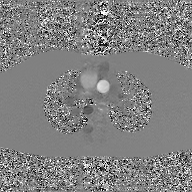
Q: What kind of scan is this?
A: 2D phase-contrast cine MRI of the ascending aorta, GAN super-resolution reconstruction.